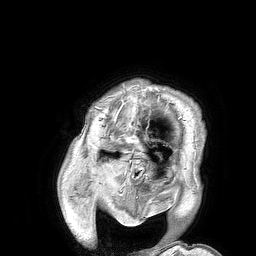
Summary: 3 Tesla brain MRI. Series: 3D T1-weighted turbo field echo. Study: ring-enhancing brain masses.